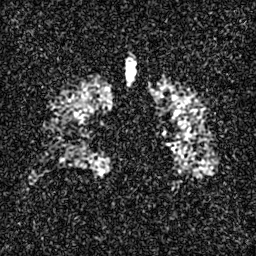
Summary:
Hyperpolarized 129Xe ventilation MRI of the lungs. SNR level 4 of 8 (the deposit holds this scan as its native image and as seven SNR-degraded versions).